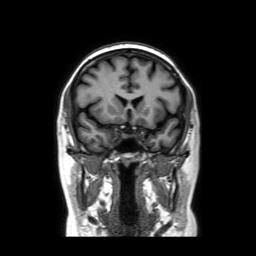
Summary:
3 Tesla brain MRI. Series: coronal without contrast. Study: ring-enhancing brain masses.